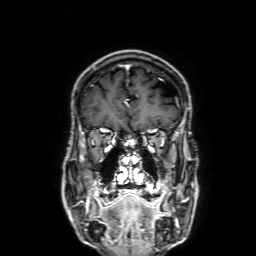
* modality — 3 Tesla brain MRI
* series — 3D T1-weighted with SENSE
* study — ring-enhancing brain masses